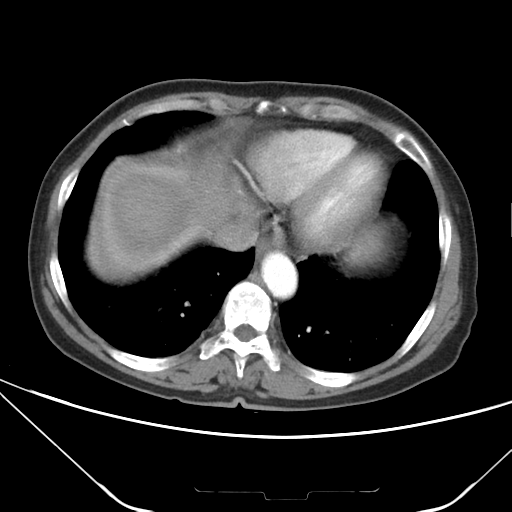
Multiphase abdominal CT, liver, arterial phase. Patient: female, age 67.